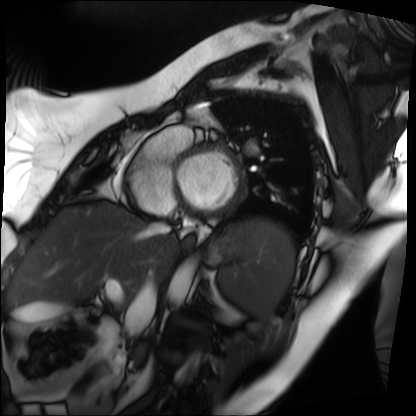
Q: What kind of scan is this?
A: Cardiac MRI.
Subject group: patient.